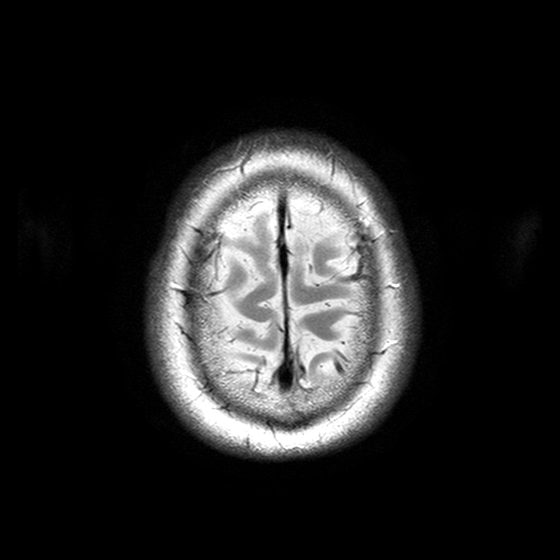
  modality:
    type: brain MRI
    field_strength: 3T
  study_topic: ring-enhancing brain masses